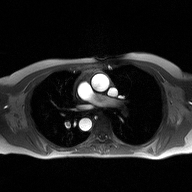
2D phase-contrast cine MRI of the ascending aorta, high-resolution GRAPPA acquisition.